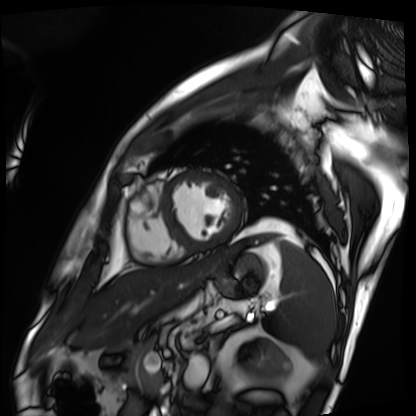
• modality — cardiac MRI
• subject group — patient